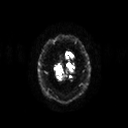
– modality · 3 Tesla brain MRI
– study · ring-enhancing brain masses